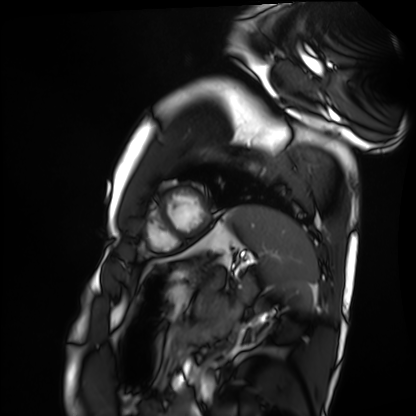
Cardiac MRI.
Subject group: healthy volunteer.